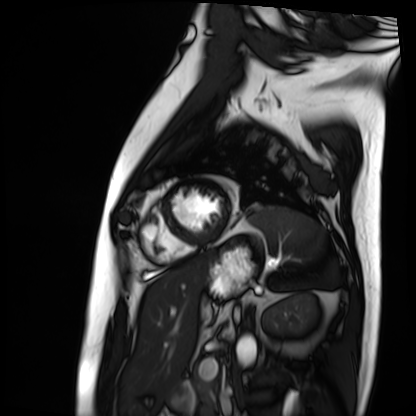
Cardiac MRI. Subject group: patient.